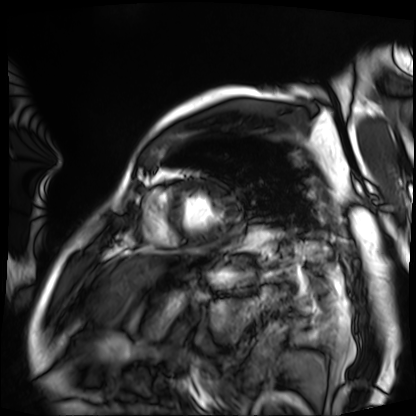
- modality — cardiac MRI
- subject group — patient